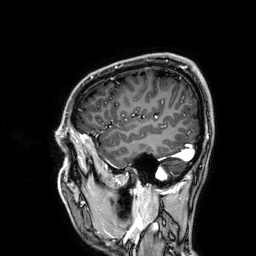
{"modality": {"type": "brain MRI", "field_strength": "3T"}, "series": "3D T1-weighted", "study_topic": "ring-enhancing brain masses"}